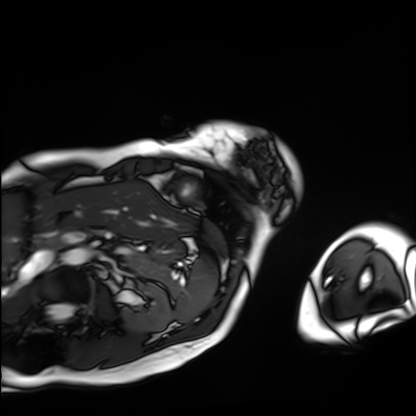
Cardiac MRI.
Subject group: patient.